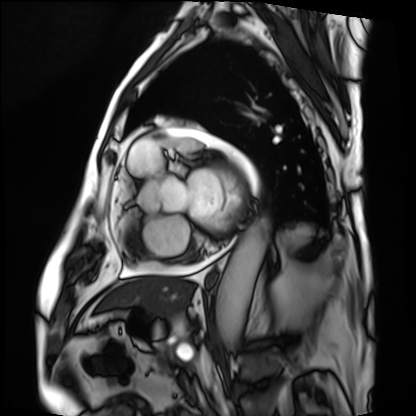
Cardiac MRI. Subject group: patient.